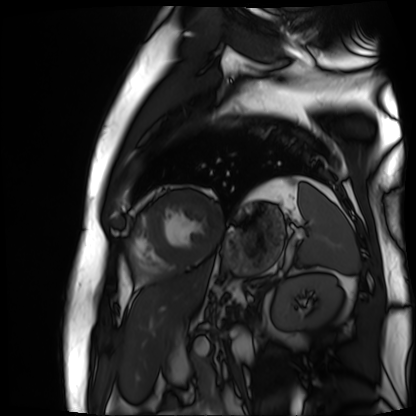
modality — cardiac MR image of the myocardium | subject cohort — cardiac patient.